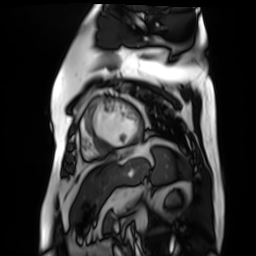
Clinical context: Cardiac MR image of the myocardium. Subject cohort: cardiac patient.